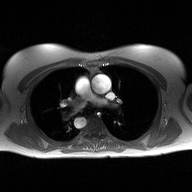
2D phase-contrast cine MRI of the ascending aorta, high-resolution GRAPPA acquisition.